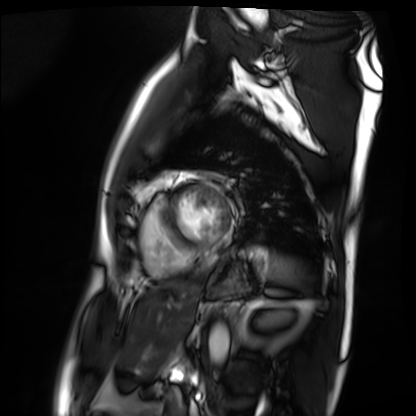
  modality: cardiac MRI
  cohort: patient